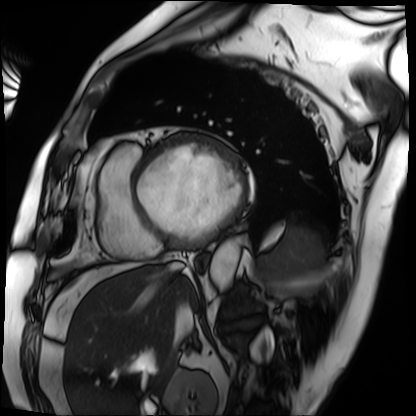
• modality · cardiac MRI
• subject group · patient